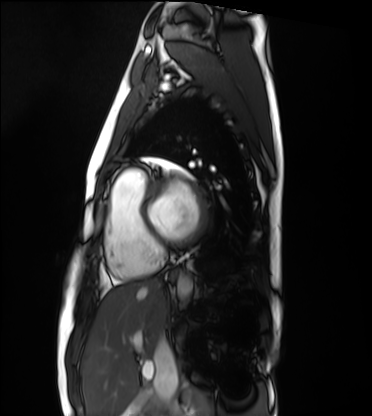
Case summary: Cardiac MRI. Subject group: healthy volunteer.